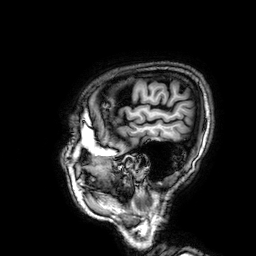
modality = 3 Tesla brain MRI | series = 3D T1-weighted | study = ring-enhancing brain masses.